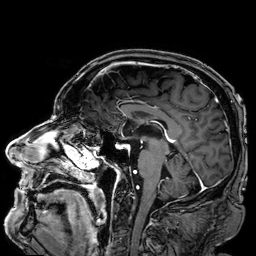
{"modality": {"type": "brain MRI", "field_strength": "3T"}, "series": "3D T1-weighted", "study_topic": "ring-enhancing brain masses"}